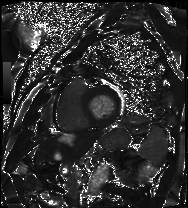
modality=cardiac MRI | subject group=patient.